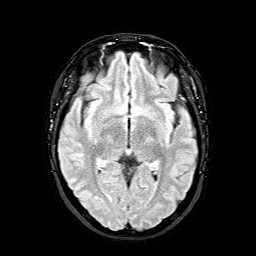
Case summary: 3 Tesla brain MRI. Series: FLAIR with SPAIR. Study: ring-enhancing brain masses.